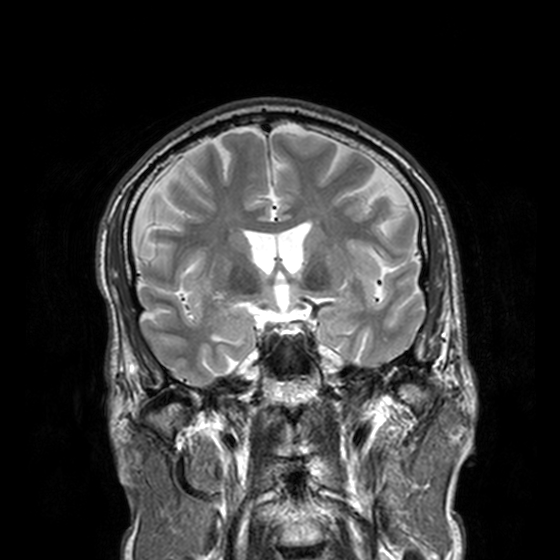
modality = 3 Tesla brain MRI | series = T2-weighted turbo spin echo, 3 mm | study = ring-enhancing brain masses.